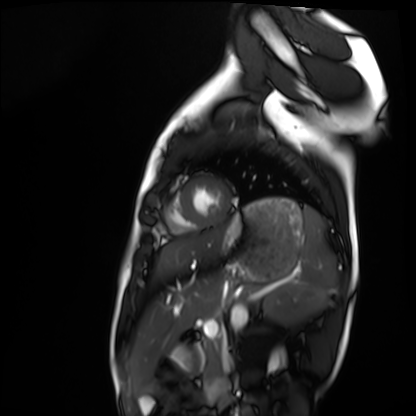
Cardiac MRI.
Subject group: healthy volunteer.